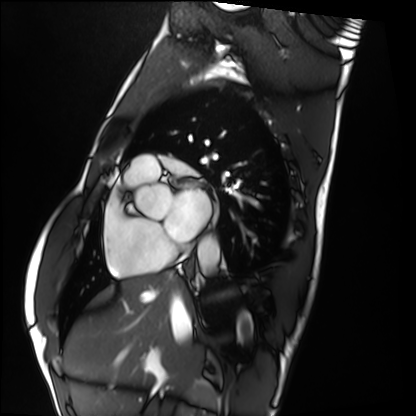
Summary: Cardiac MRI. Subject group: healthy volunteer.